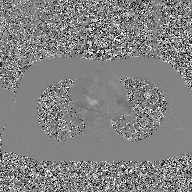
Summary: 2D phase-contrast cine MRI of the ascending aorta, GAN super-resolution reconstruction.